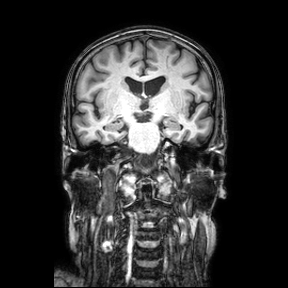
Case summary:
3 Tesla brain MRI. Series: coronal. Study: ring-enhancing brain masses.